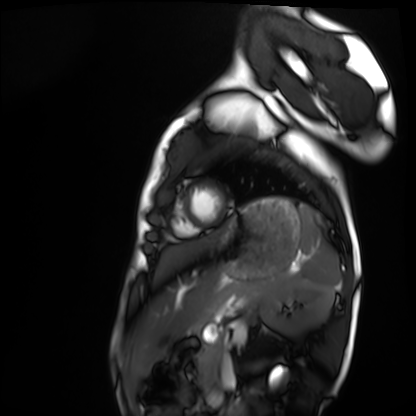
Q: What kind of scan is this?
A: Cardiac MRI.
Subject group: healthy volunteer.